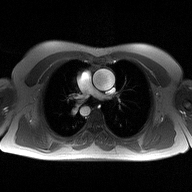
<record>
<modality>
  <type>2D phase-contrast cine MRI</type>
  <region>ascending aorta</region>
  <reconstruction>high-resolution GRAPPA acquisition</reconstruction>
</modality>
</record>